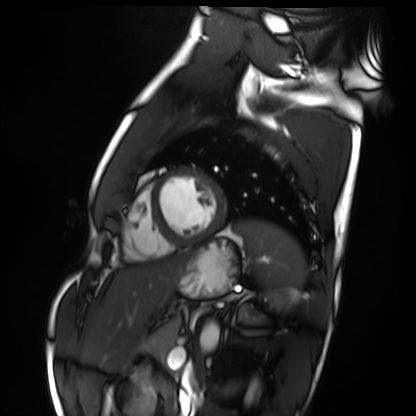
modality=cardiac MRI
subject group=healthy volunteer